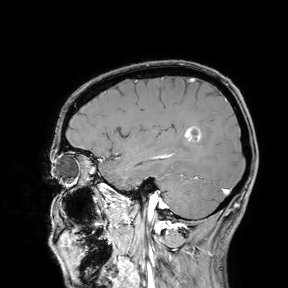
{"modality": {"type": "brain MRI", "field_strength": "3T"}, "study_topic": "ring-enhancing brain masses"}